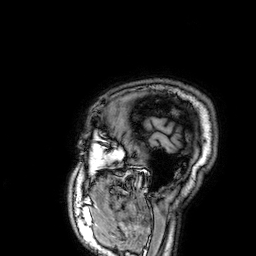
- modality — 3 Tesla brain MRI
- series — 3D T1-weighted
- study — ring-enhancing brain masses